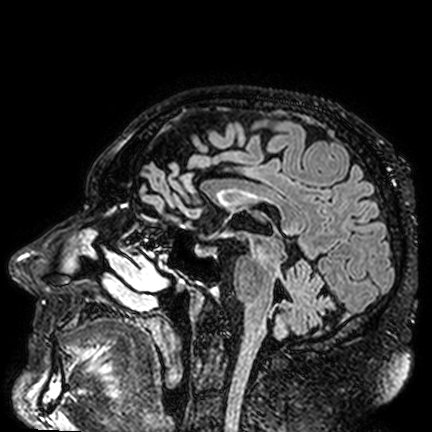
3 Tesla brain MRI. Series: FLAIR VISTA. Study: ring-enhancing brain masses.